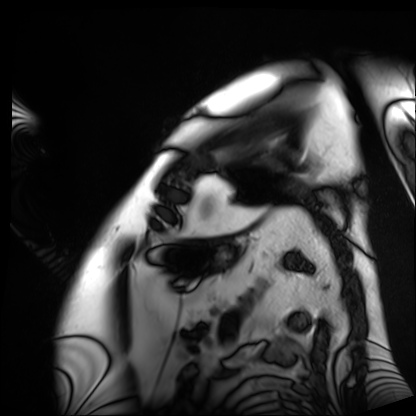
| field | value |
|---|---|
| modality | cardiac MRI |
| subject group | patient |